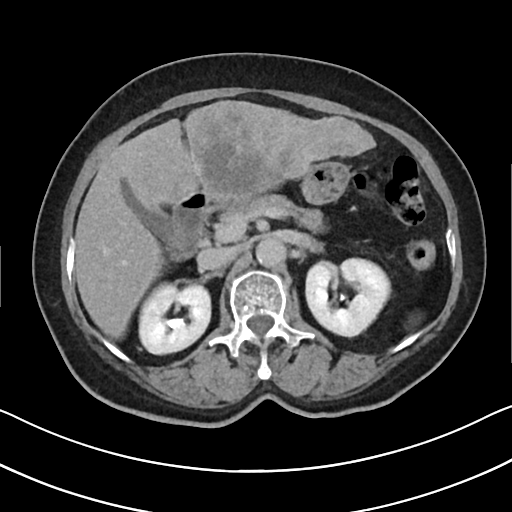
Summary:
Multiphase abdominal CT, liver, delayed phase. Patient: female, age 67. History: cirrhosis, prior chemotherapy.